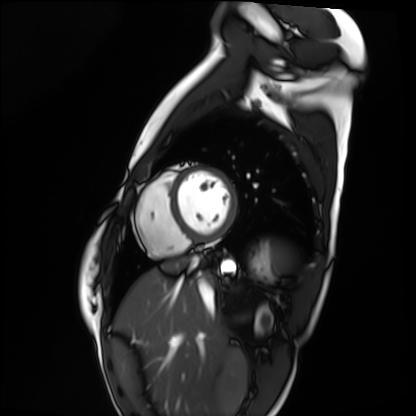
modality: cardiac MRI | subject group: healthy volunteer.